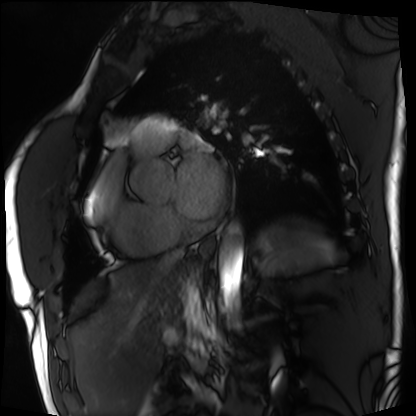
Clinical context: Cardiac MRI. Subject group: patient.